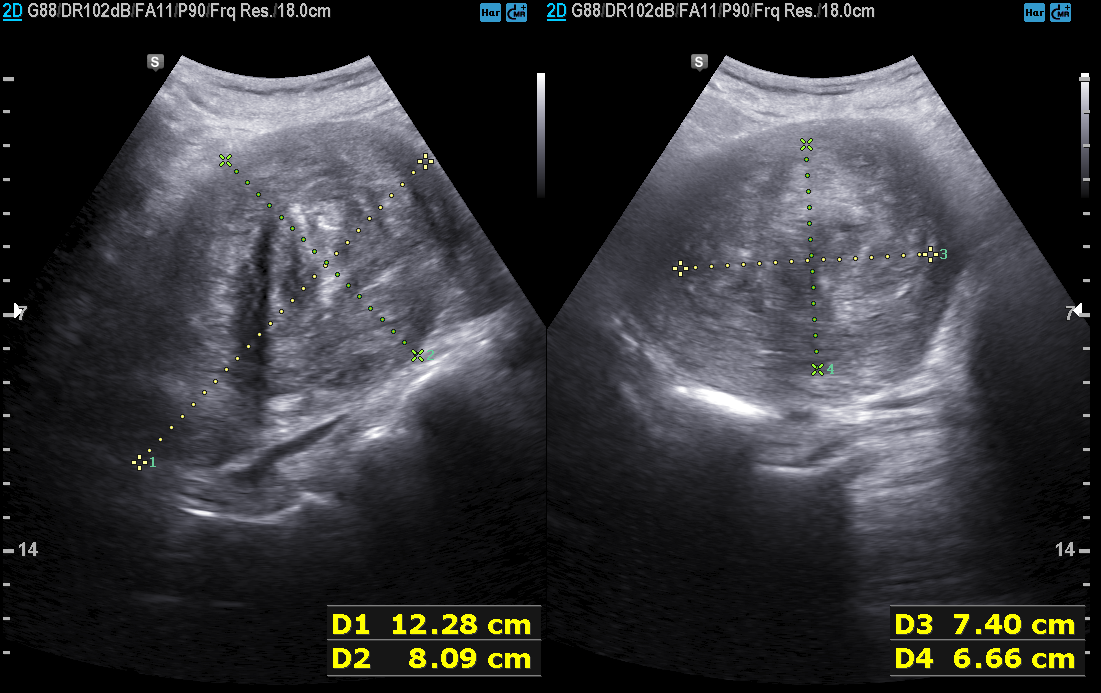
modality = genitourinary ultrasound